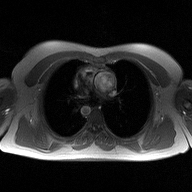
Summary:
2D phase-contrast cine MRI of the ascending aorta, high-resolution GRAPPA acquisition.